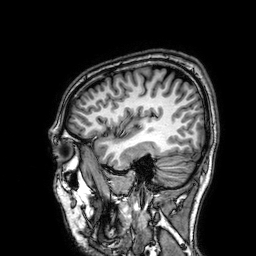
Summary: 3 Tesla brain MRI. Series: 3D T1-weighted. Study: ring-enhancing brain masses.